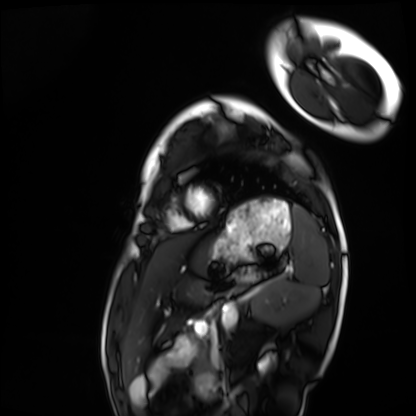
Summary: Cardiac MRI. Subject group: healthy volunteer.